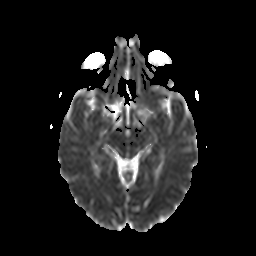
{"modality": {"type": "brain MRI", "field_strength": "3T"}, "series": "diffusion-weighted imaging with CLEAR", "study_topic": "ring-enhancing brain masses"}